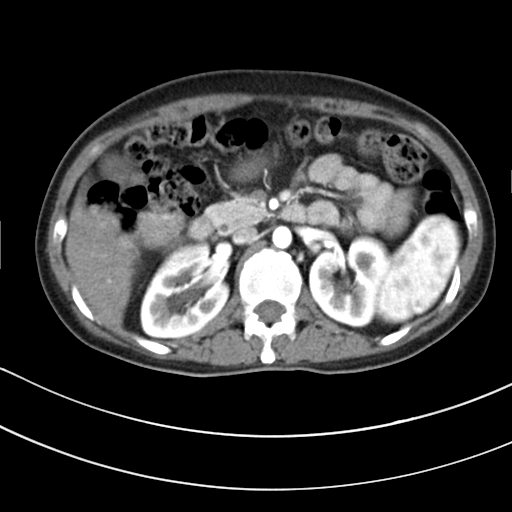
Q: What kind of scan is this?
A: Multiphase abdominal CT, liver, arterial phase.
Q: Patient?
A: Female, age 42.
Q: History?
A: Cirrhosis.